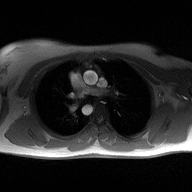
2D phase-contrast cine MRI of the ascending aorta, high-resolution GRAPPA acquisition.